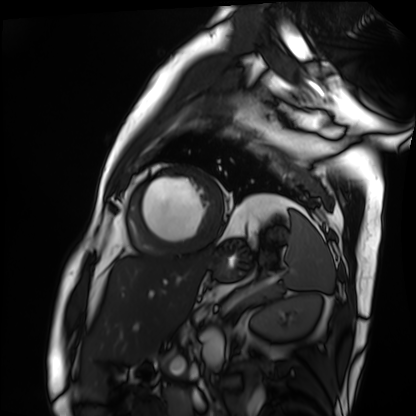
modality = cardiac MRI
subject group = patient